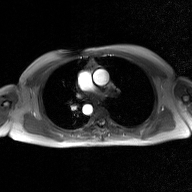
{
  "modality": {
    "type": "2D phase-contrast cine MRI",
    "region": "ascending aorta",
    "reconstruction": "GAN super-resolution reconstruction"
  }
}